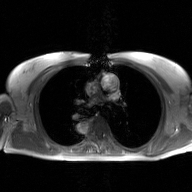
Clinical context:
2D phase-contrast cine MRI of the ascending aorta, GAN super-resolution reconstruction.